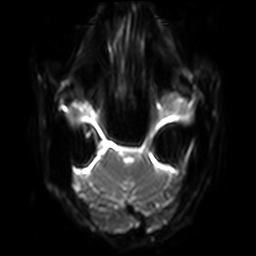
3 Tesla brain MRI. Series: diffusion-weighted imaging with SENSE (WIP). Study: ring-enhancing brain masses.